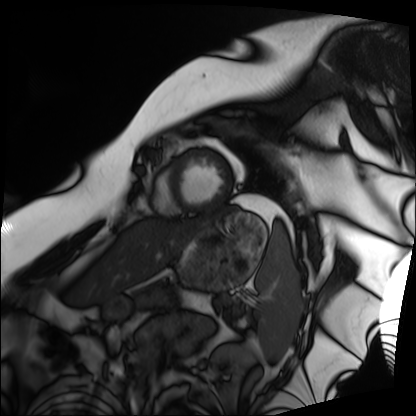
modality = cardiac MRI; subject group = patient.